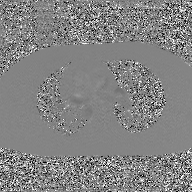
Case:
- modality · 2D phase-contrast cine MRI of the ascending aorta, GAN super-resolution reconstruction